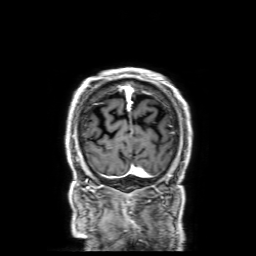
3 Tesla brain MRI.
Series: 3D T1-weighted with SENSE.
Study: ring-enhancing brain masses.